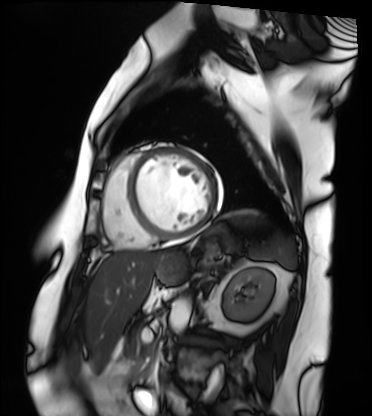
modality: cardiac MRI | subject group: patient.